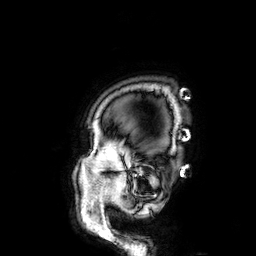
modality: 3 Tesla brain MRI
series: 3D T1-weighted
study: ring-enhancing brain masses